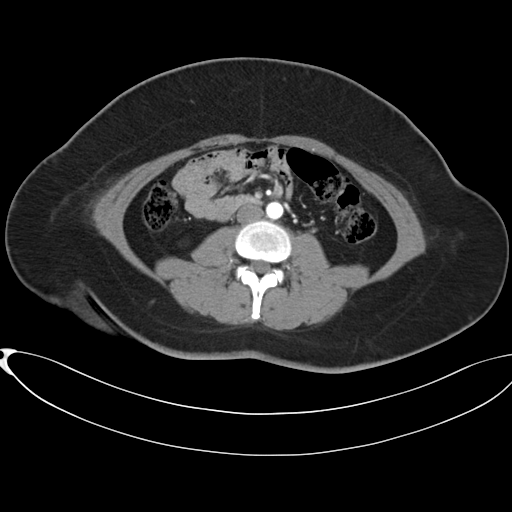
Q: What kind of scan is this?
A: Multiphase abdominal CT, liver, arterial phase.
Q: Patient?
A: Female, age 37.
Q: History?
A: Prior chemotherapy.